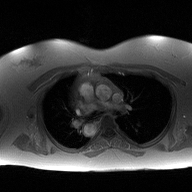
Case:
- modality · 2D phase-contrast cine MRI of the ascending aorta